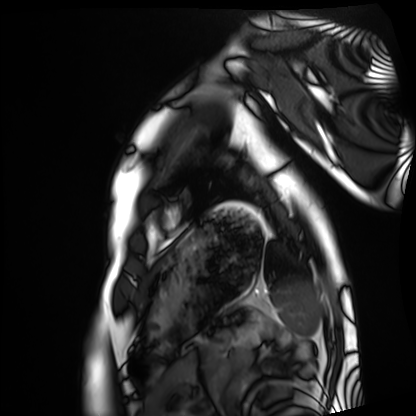
Cardiac MRI. Subject group: healthy volunteer.